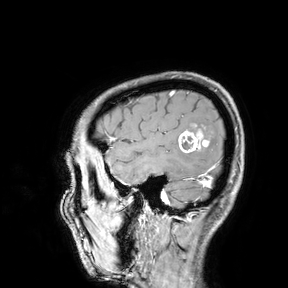
modality: 3 Tesla brain MRI; study: ring-enhancing brain masses.